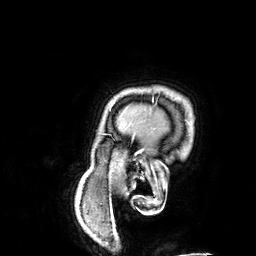
3 Tesla brain MRI. Series: 3D T1-weighted. Study: ring-enhancing brain masses.